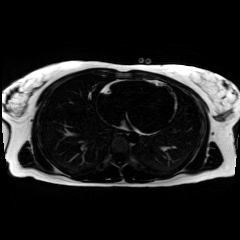
| field | value |
|---|---|
| modality | chemical-shift-encoded cardiac MRI |